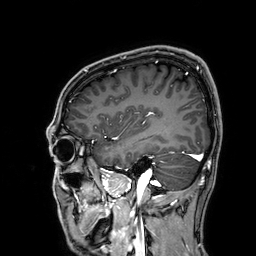
3 Tesla brain MRI.
Series: 3D T1-weighted.
Study: ring-enhancing brain masses.